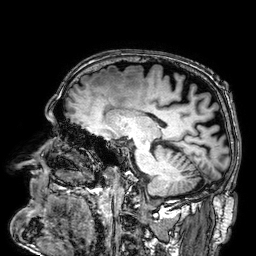
<study>
<modality>
  <type>brain MRI</type>
  <field_strength>3T</field_strength>
</modality>
<series>3D T1-weighted</series>
<study_topic>ring-enhancing brain masses</study_topic>
</study>